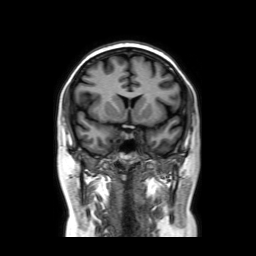
– modality — 3 Tesla brain MRI
– series — coronal without contrast
– study — ring-enhancing brain masses